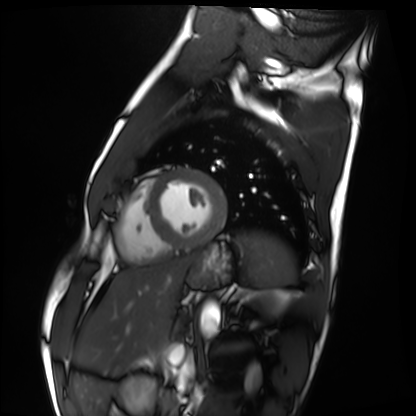
Summary: Cardiac MRI. Subject group: healthy volunteer.